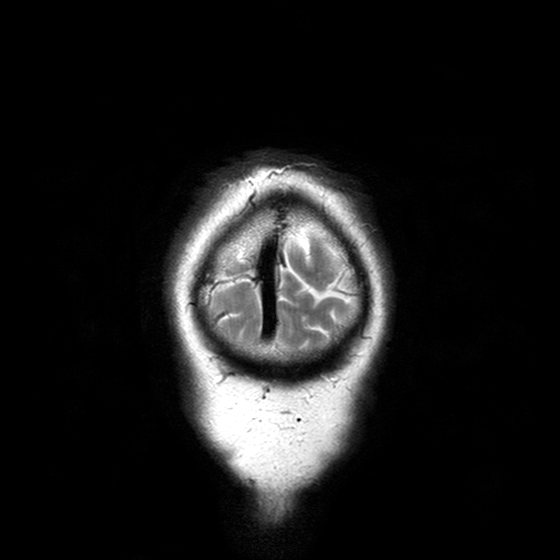
Clinical context: 3 Tesla brain MRI. Study: ring-enhancing brain masses.